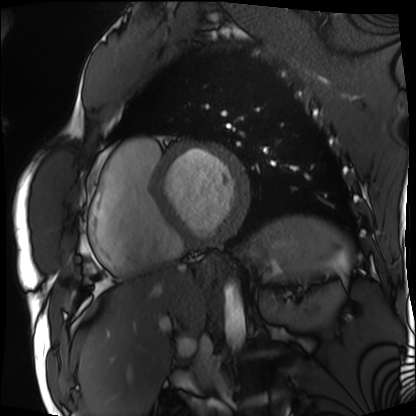
Case summary: Cardiac MRI. Subject group: patient.